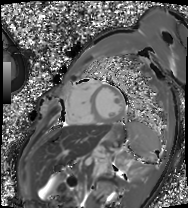
Clinical context: Cardiac MRI. Subject group: patient.